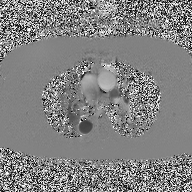
Q: What kind of scan is this?
A: 2D phase-contrast cine MRI of the ascending aorta.